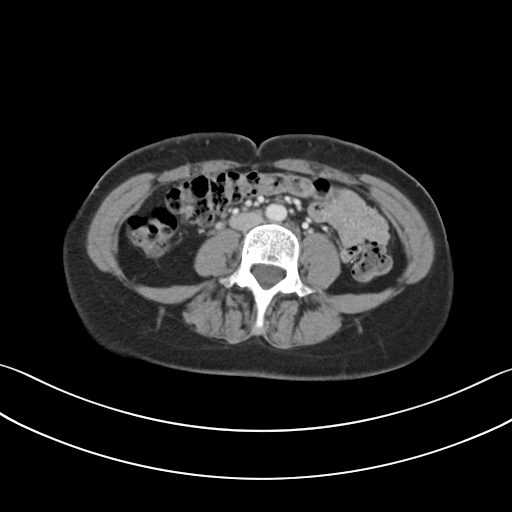
Multiphase abdominal CT, liver, portal venous phase. Patient: female, age 39.